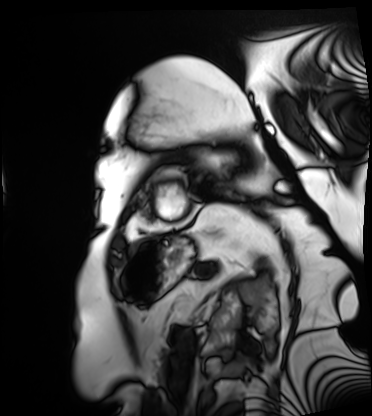
modality: cardiac MRI; subject group: patient.